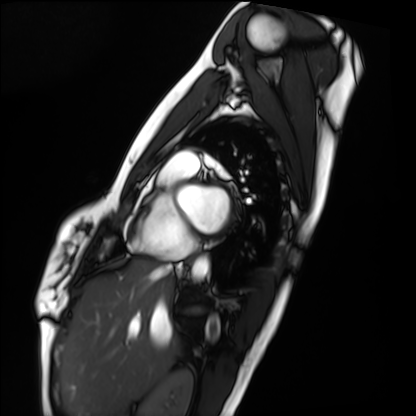
Case summary:
Cardiac MRI. Subject group: healthy volunteer.